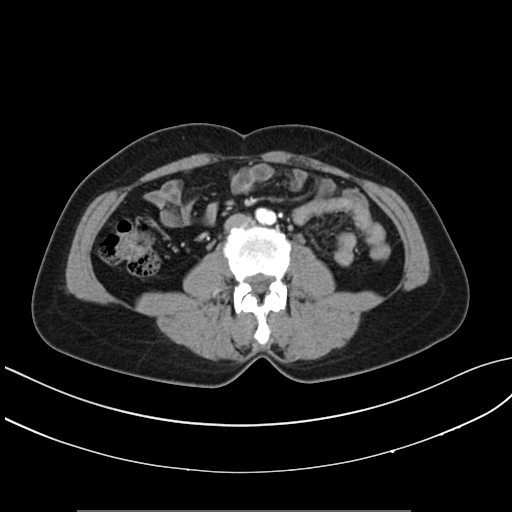
Summary: Multiphase abdominal CT, liver, arterial phase. Patient: female, age 43. History: prior chemotherapy.